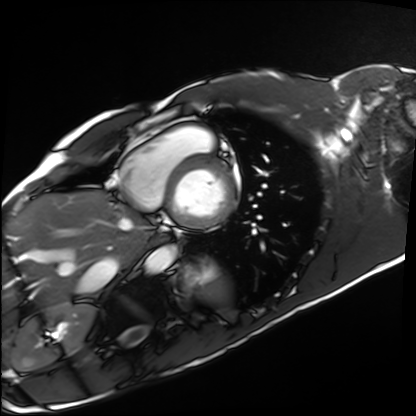
Summary: Cardiac MRI. Subject group: healthy volunteer.